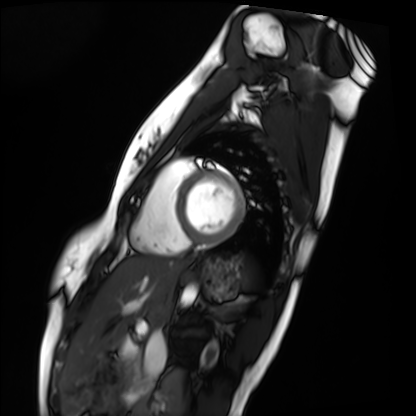
Cardiac MRI.
Subject group: healthy volunteer.